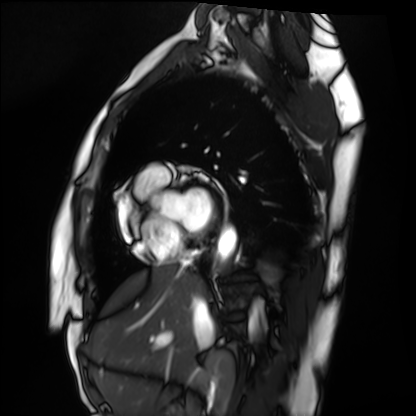
| field | value |
|---|---|
| modality | cardiac MRI |
| subject group | healthy volunteer |